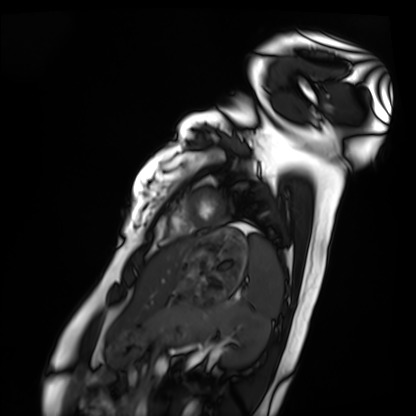
• modality — cardiac MRI
• subject group — healthy volunteer